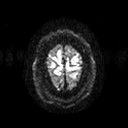
3 Tesla brain MRI.
Series: diffusion tensor imaging (medium iso).
Study: ring-enhancing brain masses.